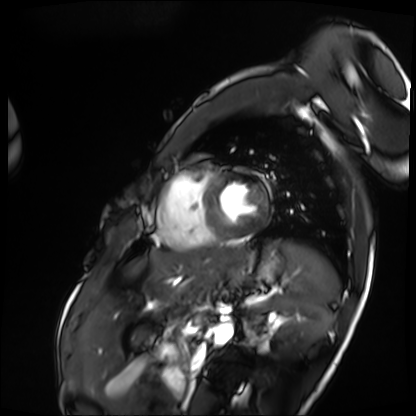
modality: cardiac MRI, subject group: patient.